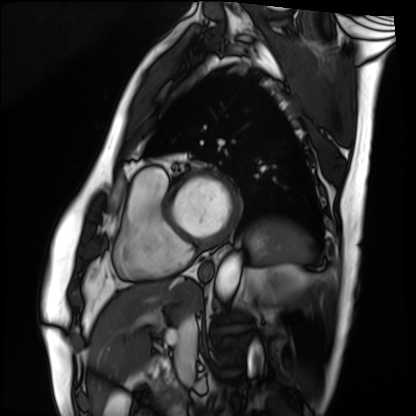
Summary: Cardiac MRI. Subject group: patient.